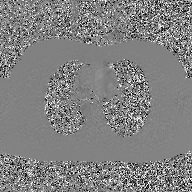
modality: 2D phase-contrast cine MRI of the ascending aorta, GAN super-resolution reconstruction.